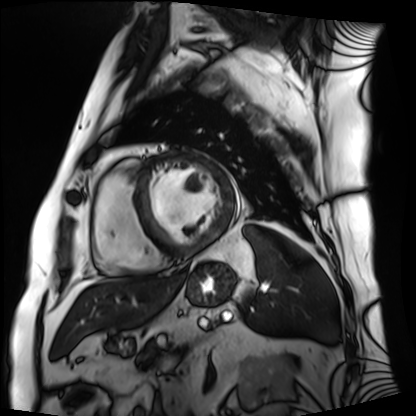
Cardiac MRI. Subject group: patient.